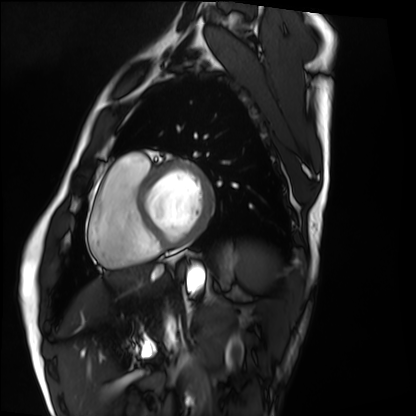
Case summary: Cardiac MRI. Subject group: healthy volunteer.